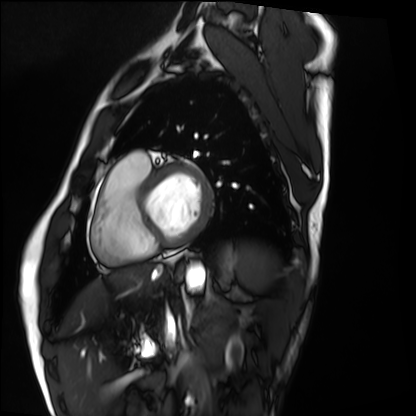
Case summary:
Cardiac MRI. Subject group: healthy volunteer.